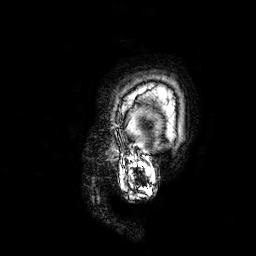
* modality · 3 Tesla brain MRI
* study · ring-enhancing brain masses